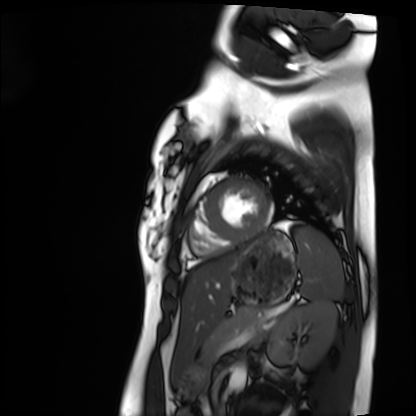
Summary:
Cardiac MRI. Subject group: healthy volunteer.